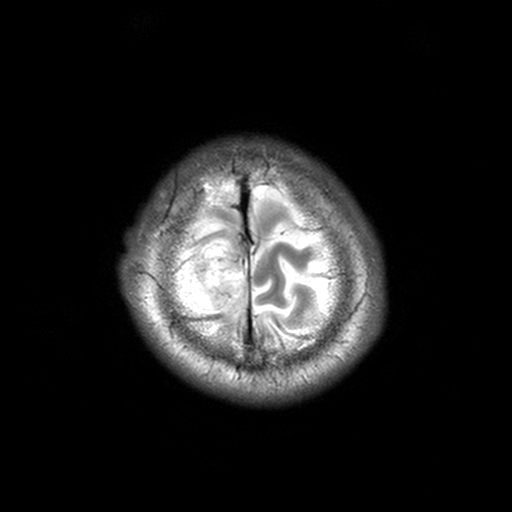
3 Tesla brain MRI.
Series: T2-weighted turbo spin echo, 3 mm.
Study: ring-enhancing brain masses.